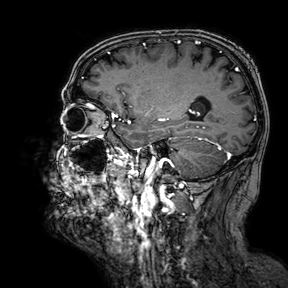
Summary:
3 Tesla brain MRI. Series: 3D T1-weighted turbo field echo with SENSE. Study: ring-enhancing brain masses.